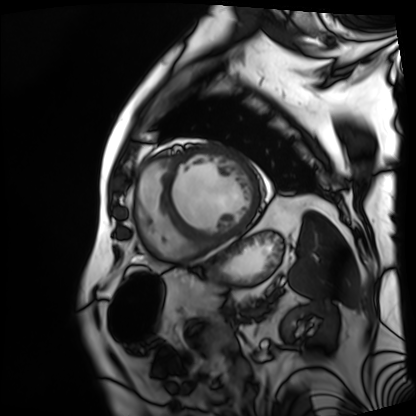
Cardiac MRI. Subject group: patient.